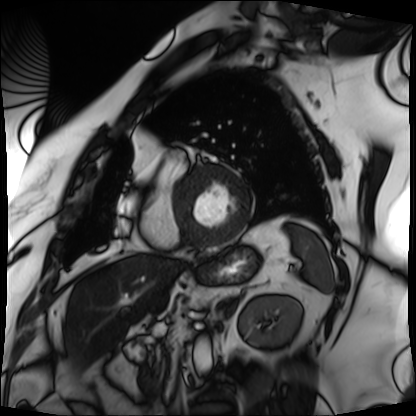
{"modality": "cardiac MRI", "cohort": "patient"}